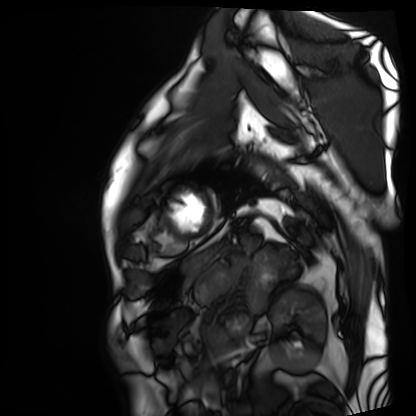
Cardiac MRI.
Subject group: patient.